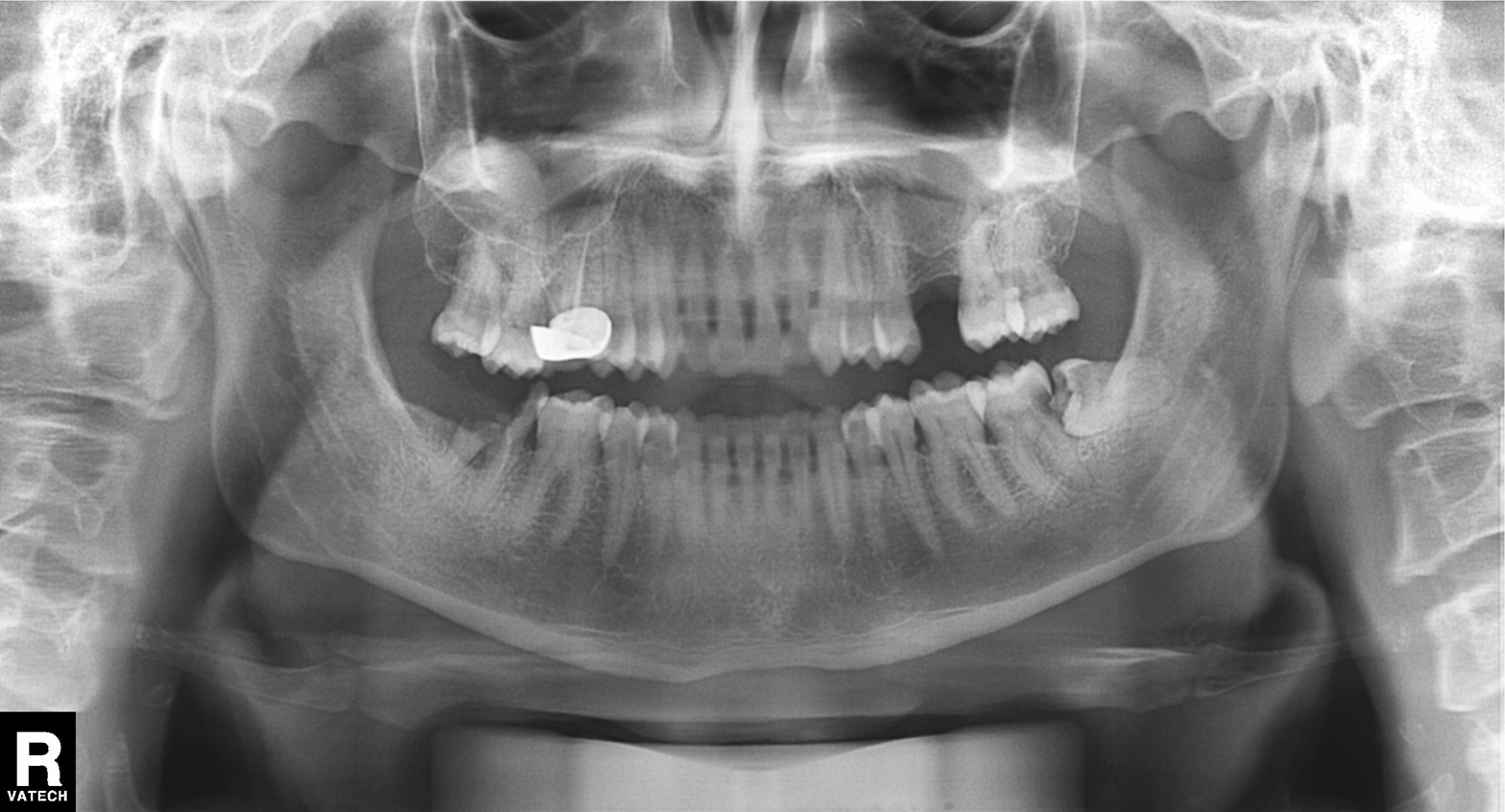
  modality: panoramic dental radiograph (orthopantomogram)
  finding: dental caries (cavities)